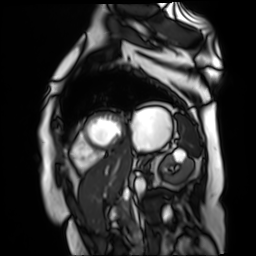
Summary: Cardiac MR image of the myocardium. Subject cohort: cardiac patient.